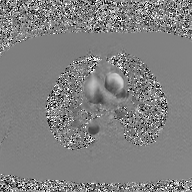
Clinical context: 2D phase-contrast cine MRI of the ascending aorta, GAN super-resolution reconstruction.